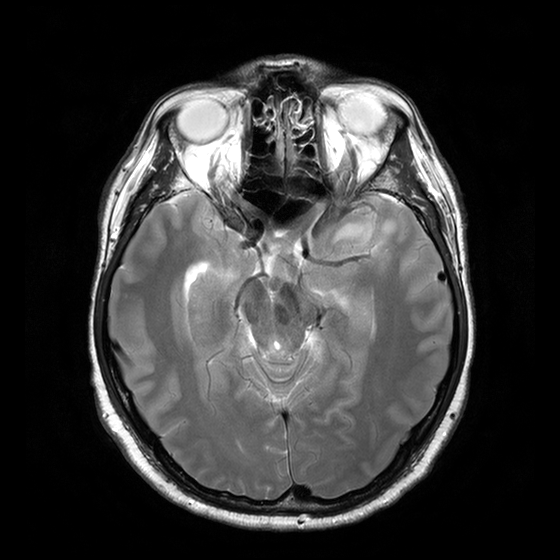
3 Tesla brain MRI. Series: T2-weighted turbo spin echo with CLEAR. Study: ring-enhancing brain masses.